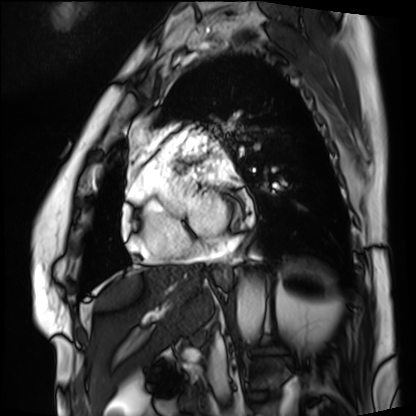
<study>
  <modality>cardiac MRI</modality>
  <cohort>patient</cohort>
</study>